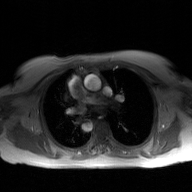
| field | value |
|---|---|
| modality | 2D phase-contrast cine MRI of the ascending aorta, GAN super-resolution reconstruction |